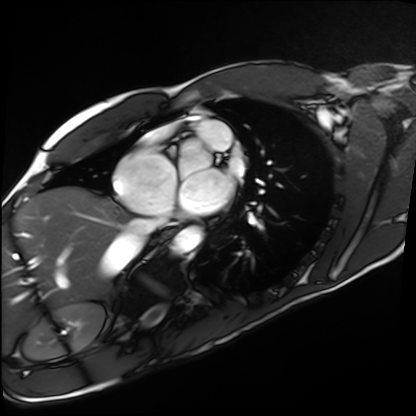
Q: What kind of scan is this?
A: Cardiac MRI.
Subject group: healthy volunteer.